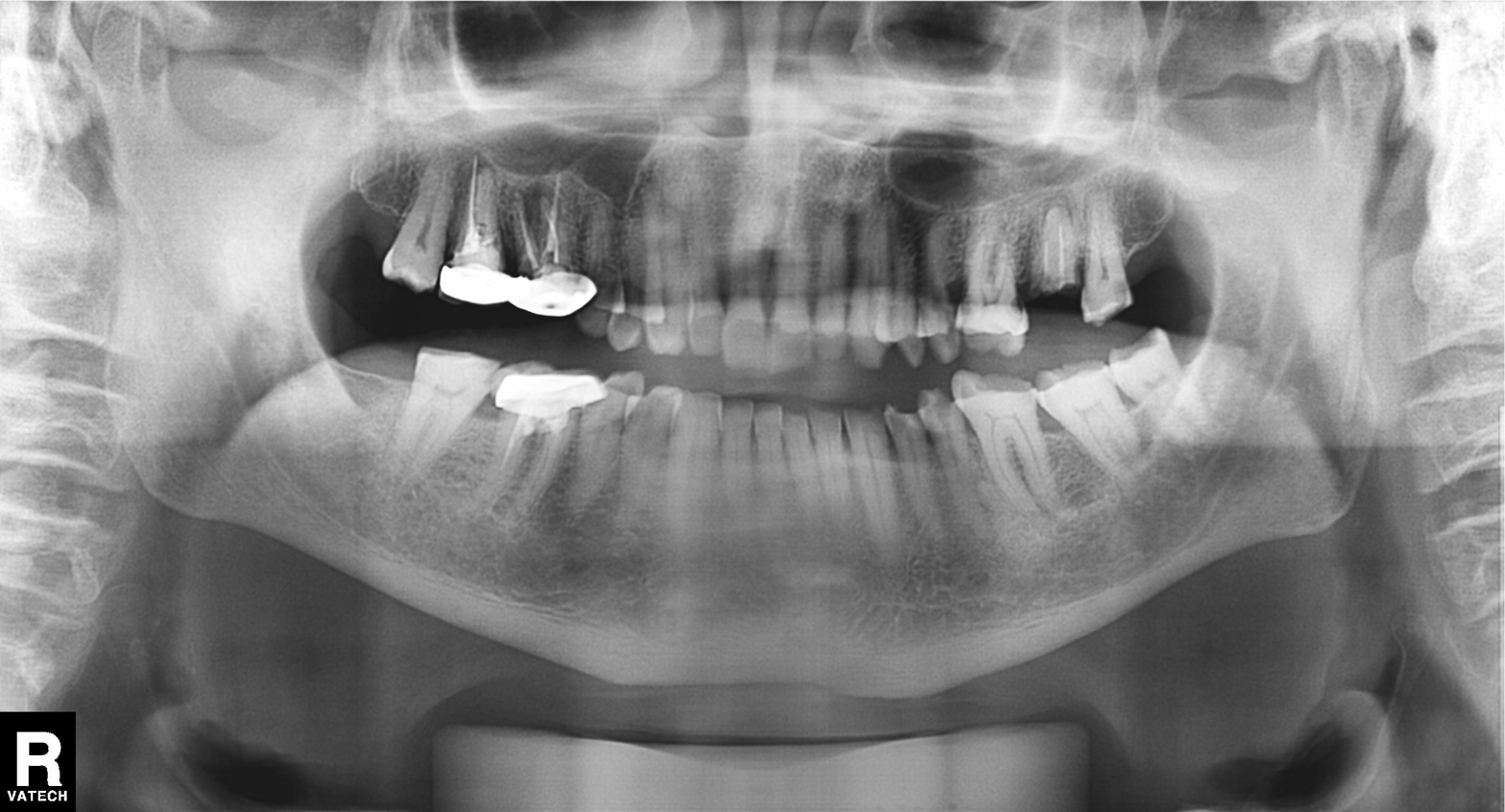
Panoramic dental radiograph (orthopantomogram).
Finding: alveolar bone loss.